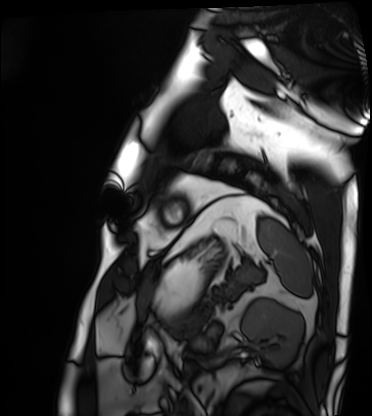
Cardiac MRI. Subject group: patient.